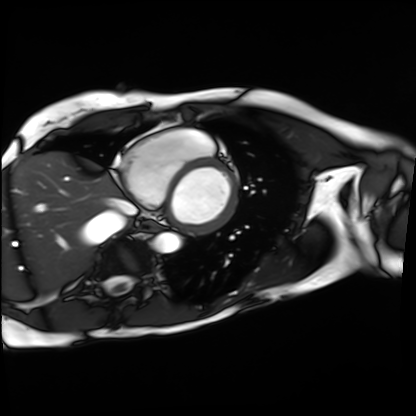
modality = cardiac MRI
subject group = patient